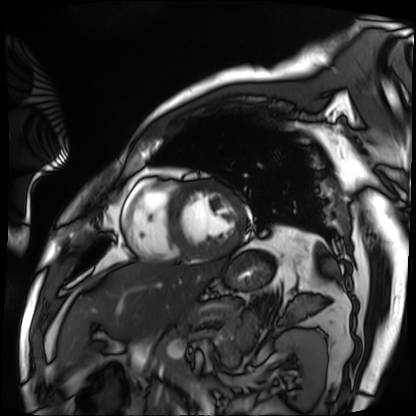
Summary:
Cardiac MRI. Subject group: patient.